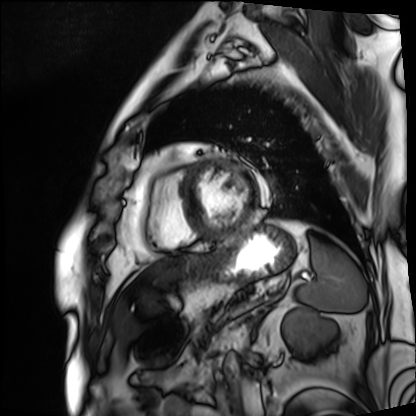
Cardiac MRI. Subject group: patient.